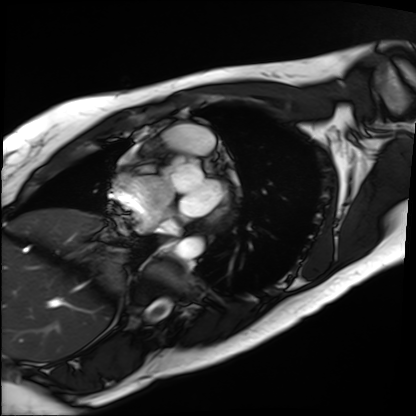
| field | value |
|---|---|
| modality | cardiac MRI |
| subject group | patient |